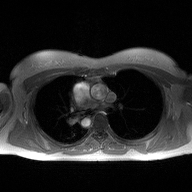
Case summary: 2D phase-contrast cine MRI of the ascending aorta, high-resolution GRAPPA acquisition.